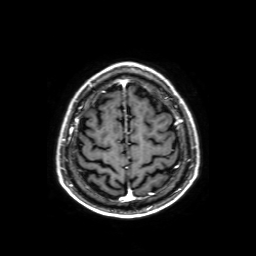
modality=3 Tesla brain MRI | series=axial T1-weighted fusion image | study=ring-enhancing brain masses.